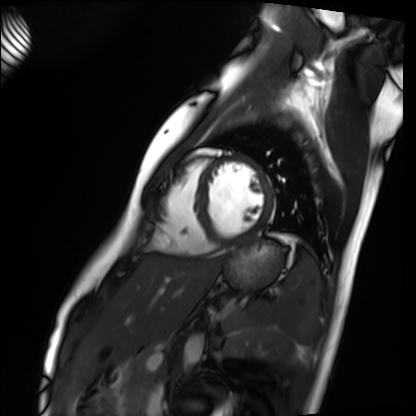
modality — cardiac MRI
subject group — healthy volunteer